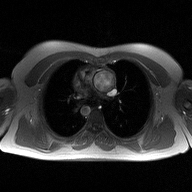
2D phase-contrast cine MRI of the ascending aorta, high-resolution GRAPPA acquisition.